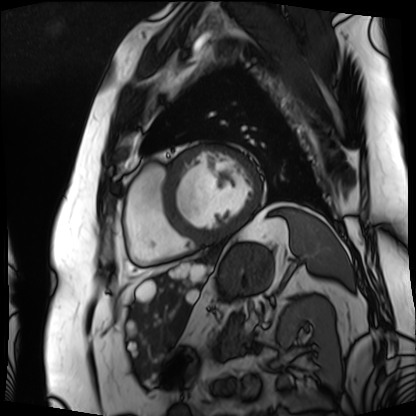
Cardiac MRI.
Subject group: patient.